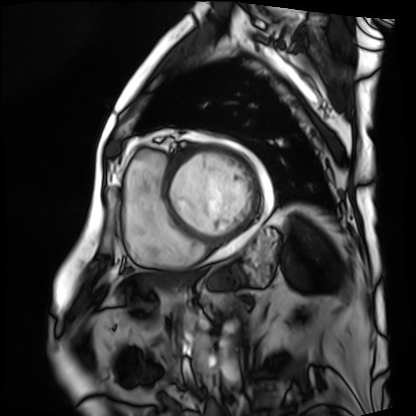
– modality · cardiac MRI
– subject group · patient